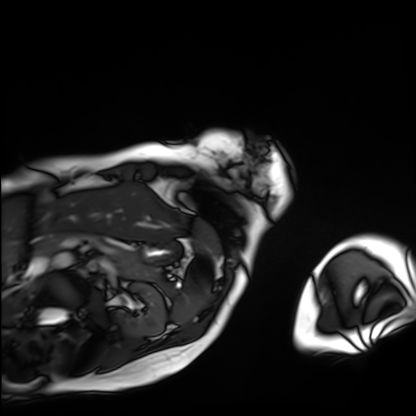
modality: cardiac MRI
subject group: patient